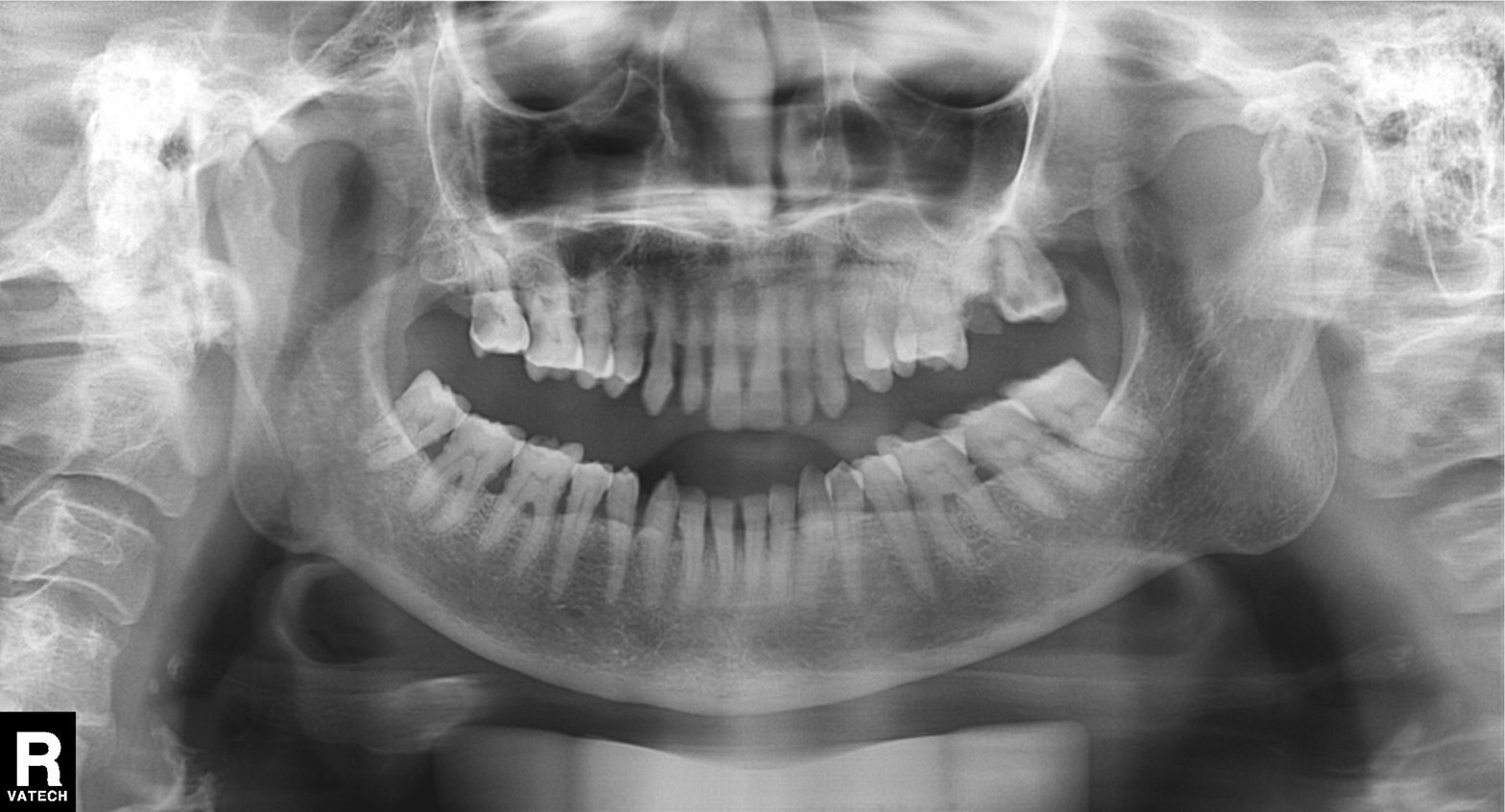
Clinical context: Panoramic dental radiograph (orthopantomogram).
Assessment: Dental caries (cavities).